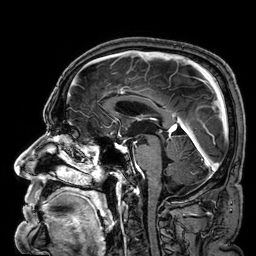
Case summary: 3 Tesla brain MRI. Series: 3D T1-weighted. Study: ring-enhancing brain masses.